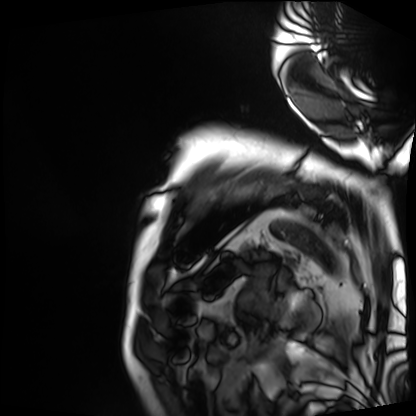
modality: cardiac MRI
subject group: patient